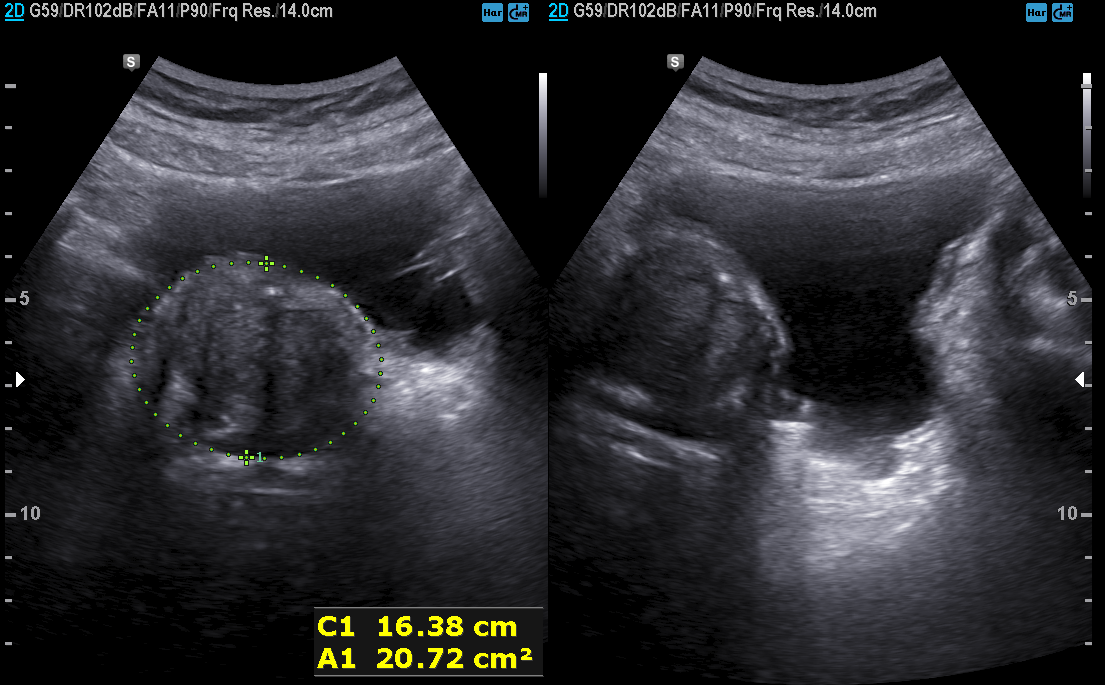
  modality:
    type: genitourinary ultrasound